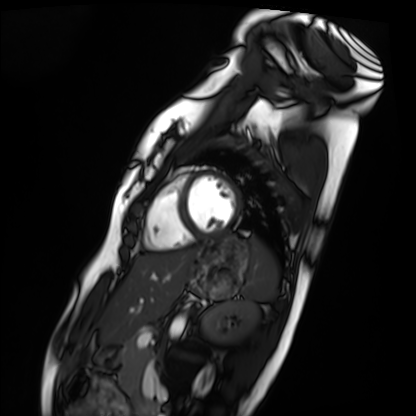
Q: What kind of scan is this?
A: Cardiac MRI.
Subject group: healthy volunteer.